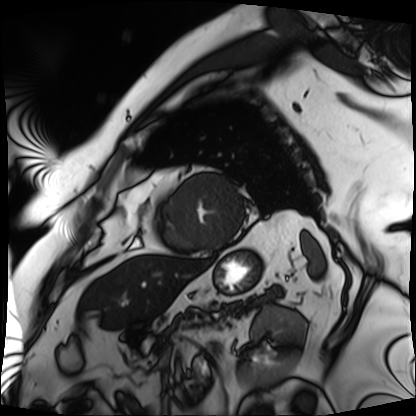
Cardiac MRI.
Subject group: patient.